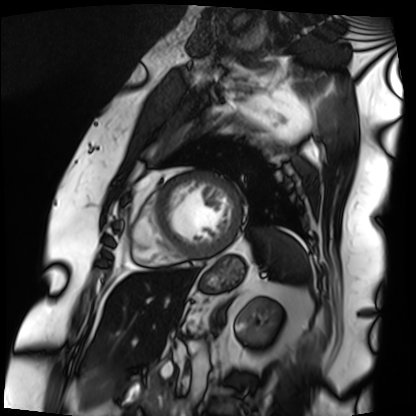
• modality: cardiac MRI
• subject group: patient